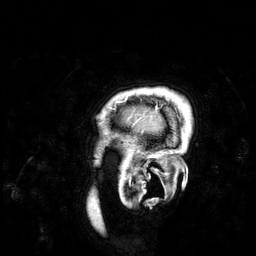
- modality · 3 Tesla brain MRI
- series · 3D T1-weighted
- study · ring-enhancing brain masses